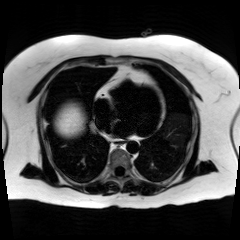
Chemical-shift-encoded cardiac MRI.